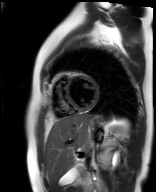
modality — cardiac MR image of the myocardium | subject cohort — healthy volunteer.